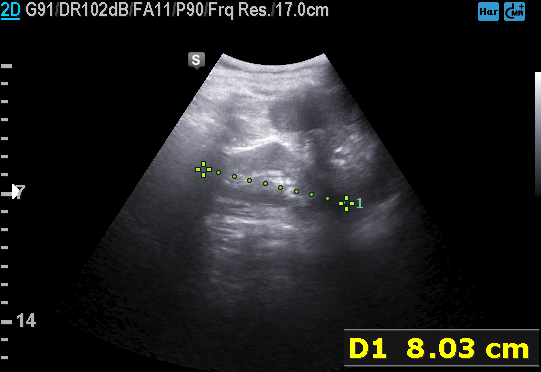
Genitourinary ultrasound.